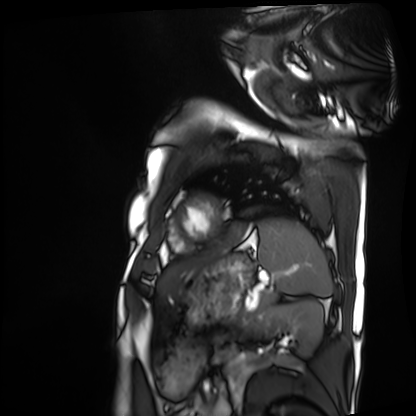
{"modality": "cardiac MRI", "cohort": "patient"}